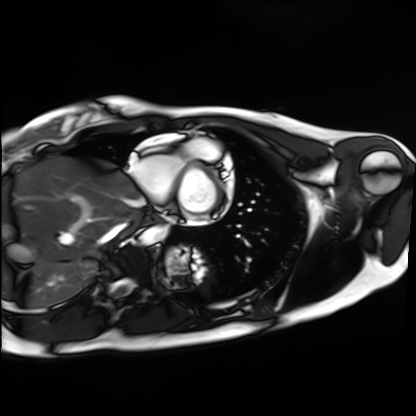
Summary: Cardiac MRI. Subject group: healthy volunteer.